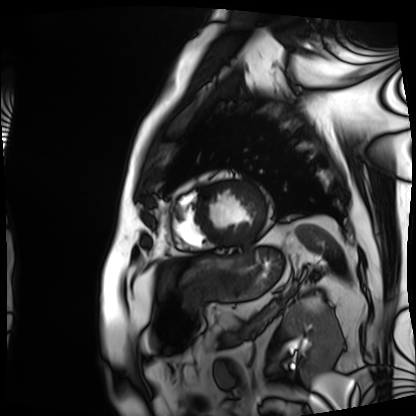
Q: What kind of scan is this?
A: Cardiac MRI.
Subject group: patient.